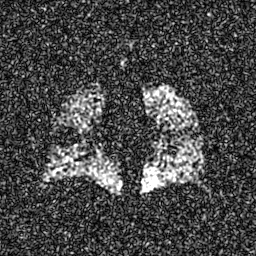
modality: hyperpolarized 129Xe ventilation MRI of the lungs, SNR level: 7 of 8 (the deposit holds this scan as its native image and as seven SNR-degraded versions).